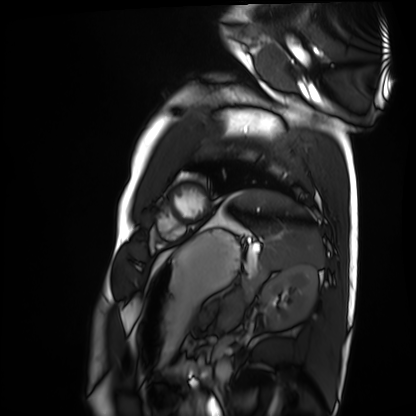
{"modality": "cardiac MRI", "cohort": "healthy volunteer"}